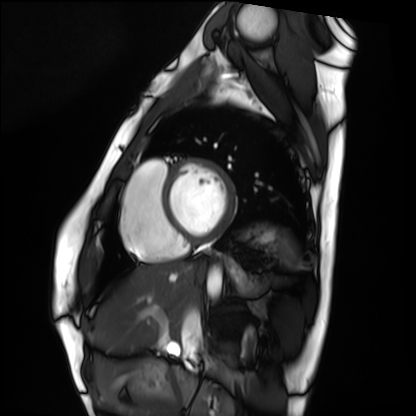
Cardiac MRI.
Subject group: healthy volunteer.